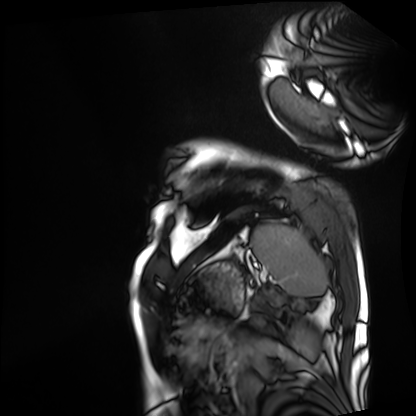
– modality · cardiac MRI
– subject group · patient